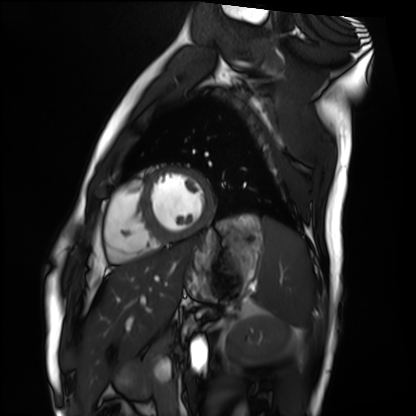
modality = cardiac MRI; subject group = healthy volunteer.